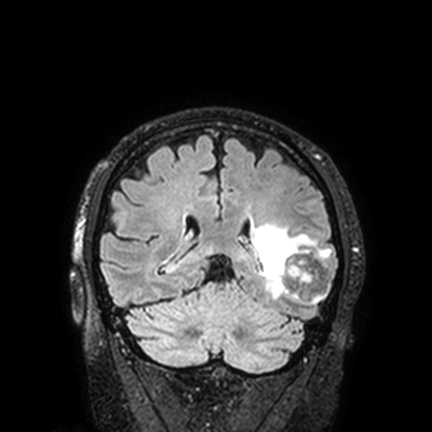
modality:
  type: brain MRI
  field_strength: 3T
series: FLAIR VISTA with SENSE
study_topic: ring-enhancing brain masses